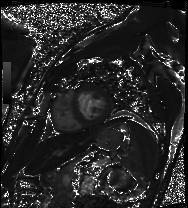
Cardiac MRI. Subject group: patient.